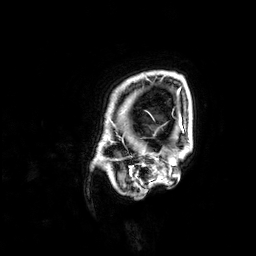
• modality · 3 Tesla brain MRI
• series · 3D T1-weighted
• study · ring-enhancing brain masses